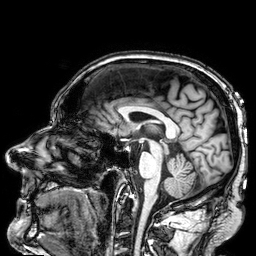
– modality: 3 Tesla brain MRI
– series: 3D T1-weighted
– study: ring-enhancing brain masses